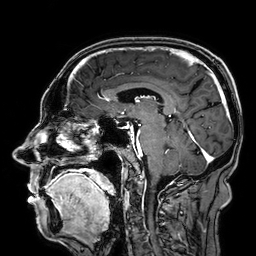
Q: What kind of scan is this?
A: 3 Tesla brain MRI.
Q: Series?
A: 3D T1-weighted.
Study: ring-enhancing brain masses.